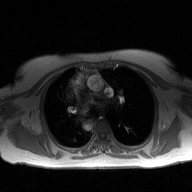
{
  "modality": {
    "type": "2D phase-contrast cine MRI",
    "region": "ascending aorta",
    "reconstruction": "high-resolution GRAPPA acquisition"
  }
}